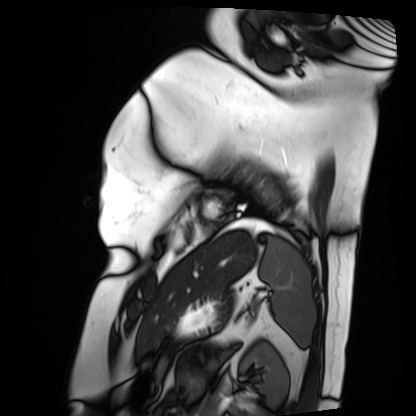
• modality — cardiac MRI
• subject group — patient